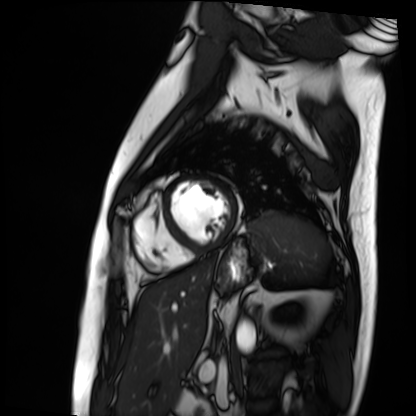
Cardiac MRI.
Subject group: patient.